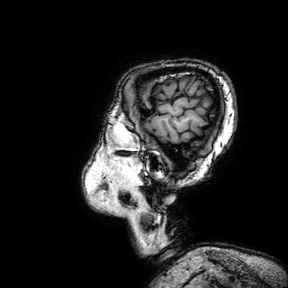
3 Tesla brain MRI.
Series: 3D T1-weighted turbo field echo with SENSE.
Study: ring-enhancing brain masses.